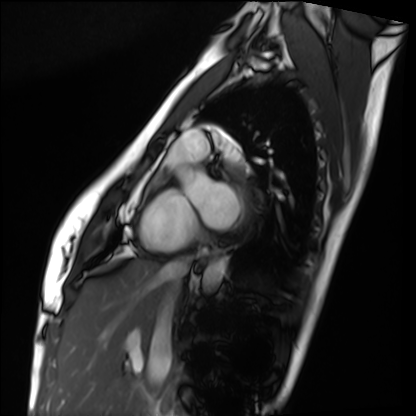
- modality: cardiac MRI
- subject group: healthy volunteer